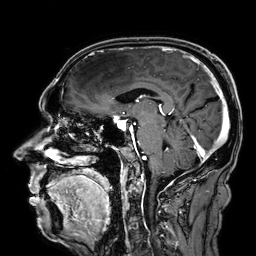
modality = 3 Tesla brain MRI
series = 3D T1-weighted
study = ring-enhancing brain masses